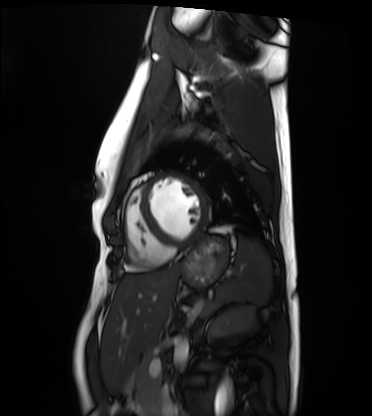
<record>
<modality>cardiac MRI</modality>
<cohort>healthy volunteer</cohort>
</record>